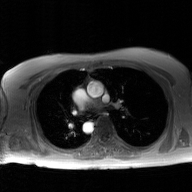
modality: 2D phase-contrast cine MRI of the ascending aorta, GAN super-resolution reconstruction.